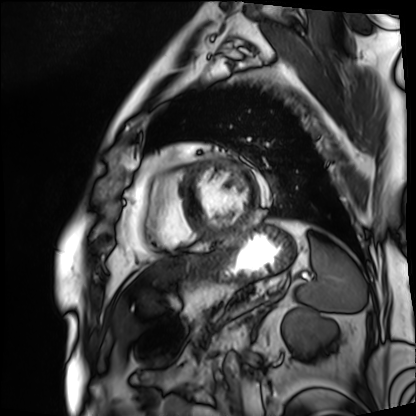
<study>
<modality>cardiac MRI</modality>
<cohort>patient</cohort>
</study>